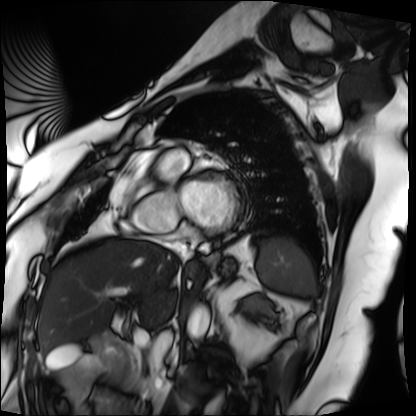
Summary:
Cardiac MRI. Subject group: patient.